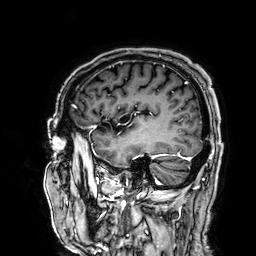
Clinical context:
3 Tesla brain MRI. Series: 3D T1-weighted. Study: ring-enhancing brain masses.